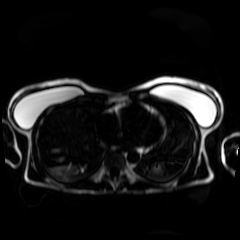
Summary:
Chemical-shift-encoded cardiac MRI.